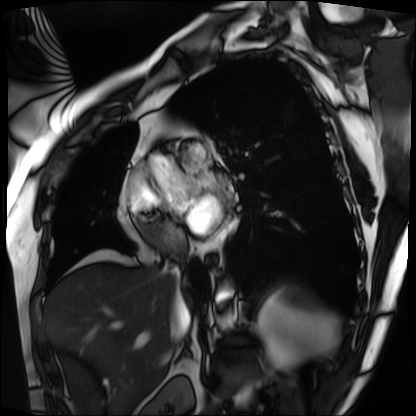
Cardiac MRI. Subject group: patient.